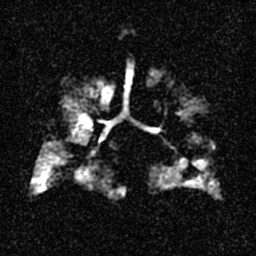
– modality: hyperpolarized 129Xe ventilation MRI of the lungs
– SNR level: 3 of 8 (the deposit holds this scan as its native image and as seven SNR-degraded versions)